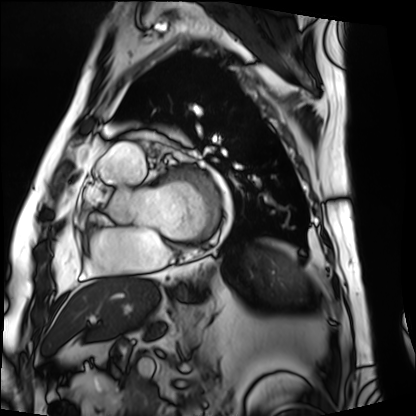
<record>
<modality>cardiac MRI</modality>
<cohort>patient</cohort>
</record>